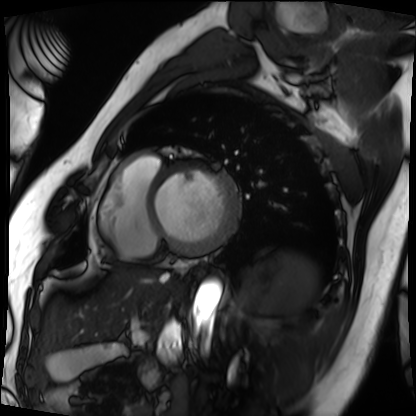
Cardiac MRI.
Subject group: patient.